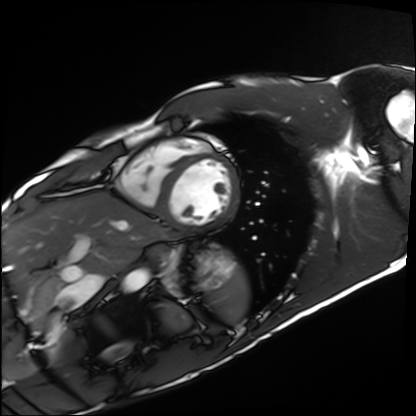
Cardiac MRI. Subject group: healthy volunteer.